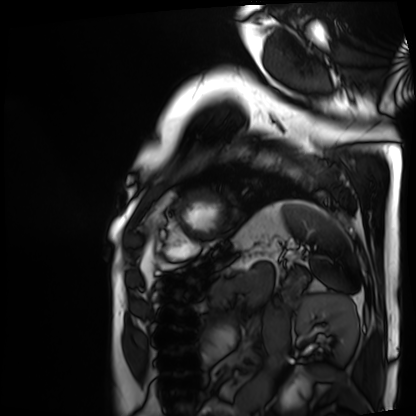
- modality: cardiac MRI
- subject group: patient